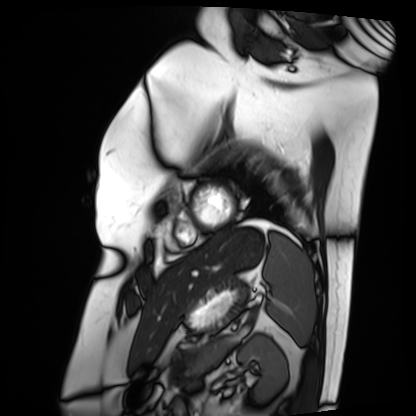
Cardiac MRI.
Subject group: patient.